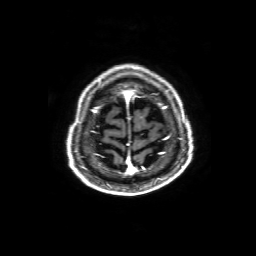
{
  "modality": {
    "type": "brain MRI",
    "field_strength": "3T"
  },
  "series": "3D T1-weighted with SENSE",
  "study_topic": "ring-enhancing brain masses"
}